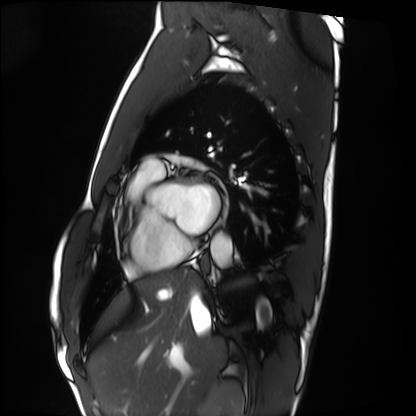
Clinical context:
Cardiac MRI. Subject group: healthy volunteer.